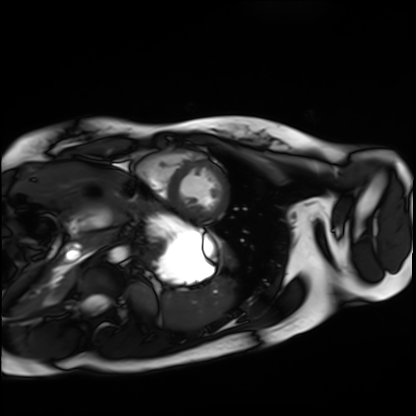
Cardiac MRI. Subject group: healthy volunteer.